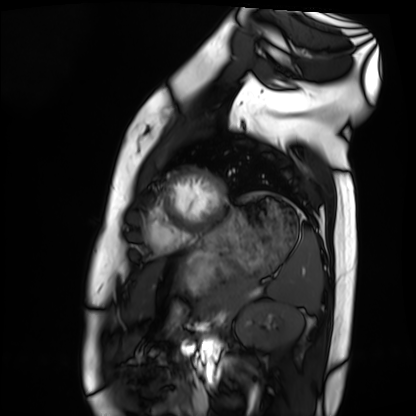
Cardiac MRI. Subject group: healthy volunteer.